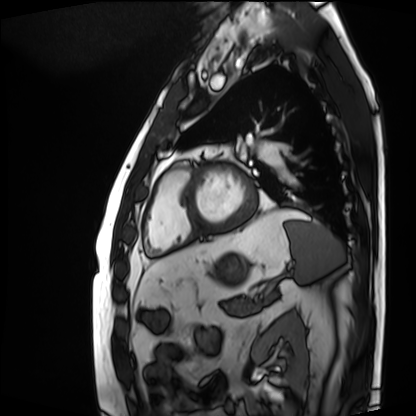
* modality · cardiac MRI
* subject group · patient